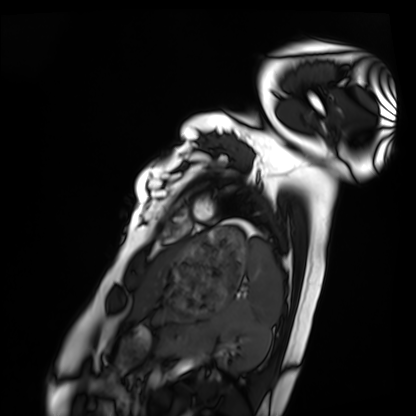
modality = cardiac MRI; subject group = healthy volunteer.